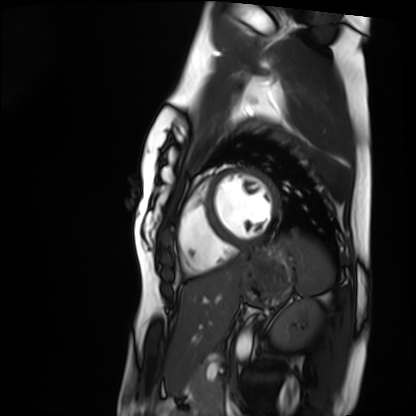
Case summary: Cardiac MRI. Subject group: healthy volunteer.